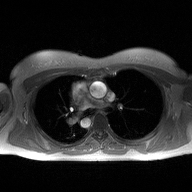
– modality — 2D phase-contrast cine MRI of the ascending aorta